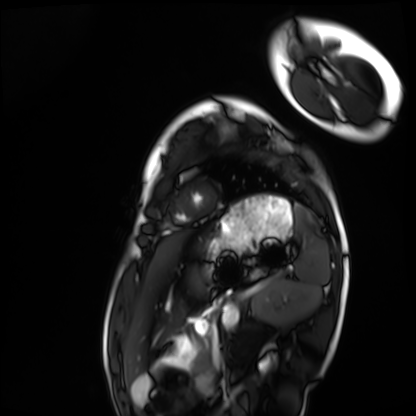
Cardiac MRI.
Subject group: healthy volunteer.